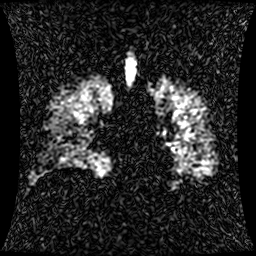
Clinical context: Hyperpolarized 129Xe ventilation MRI of the lungs. SNR level 1 of 8 (the deposit holds this scan as its native image and as seven SNR-degraded versions).